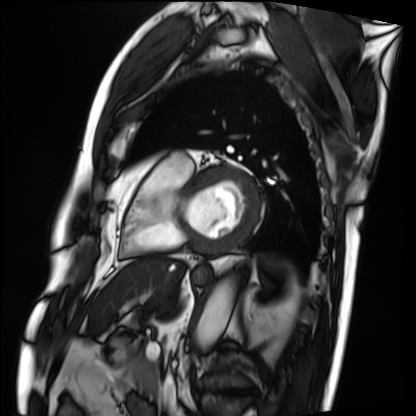
modality = cardiac MRI; subject group = patient.